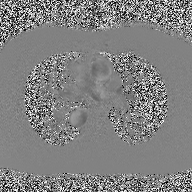
Summary:
2D phase-contrast cine MRI of the ascending aorta, high-resolution GRAPPA acquisition.